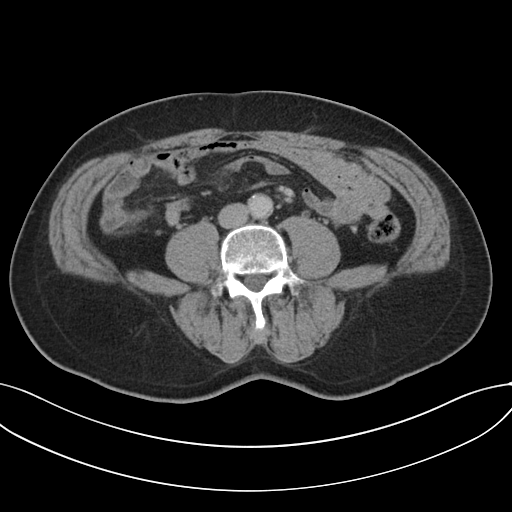
Summary: Multiphase abdominal CT, liver, portal venous phase. Patient: male, age 64.